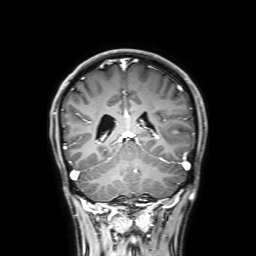
Case summary:
3 Tesla brain MRI. Series: 3D T1-weighted with SENSE. Study: ring-enhancing brain masses.